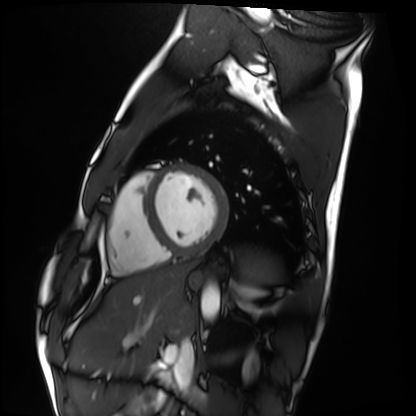
  modality: cardiac MRI
  cohort: healthy volunteer